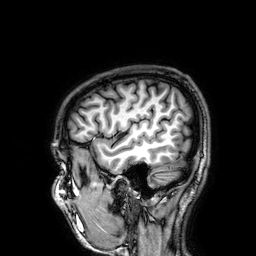
modality: 3 Tesla brain MRI; series: 3D T1-weighted; study: ring-enhancing brain masses.